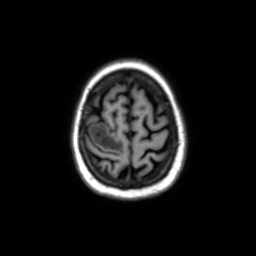
3 Tesla brain MRI.
Series: axial without contrast.
Study: ring-enhancing brain masses.